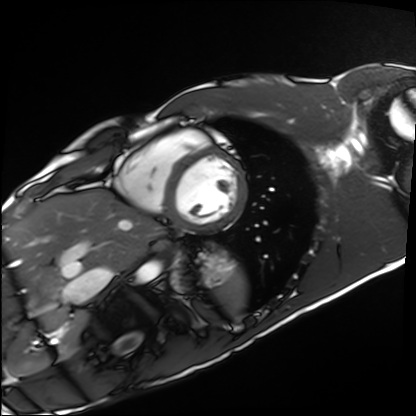
  modality: cardiac MRI
  cohort: healthy volunteer